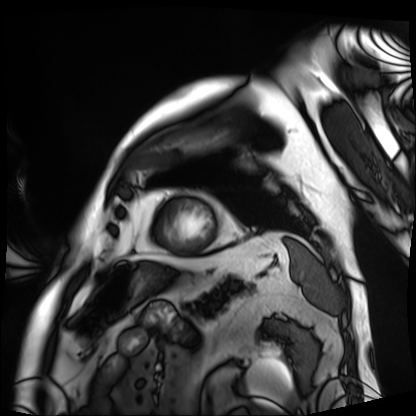
modality — cardiac MRI | subject group — patient.